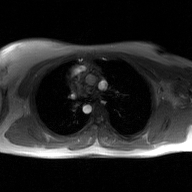
– modality · 2D phase-contrast cine MRI of the ascending aorta, GAN super-resolution reconstruction